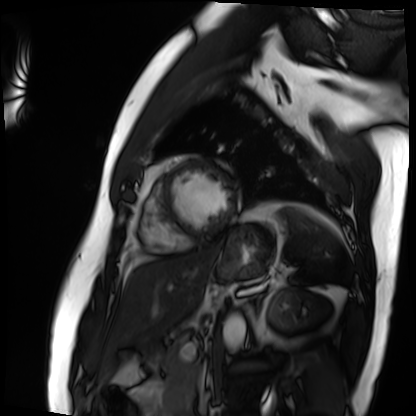
Q: What kind of scan is this?
A: Cardiac MRI.
Subject group: patient.